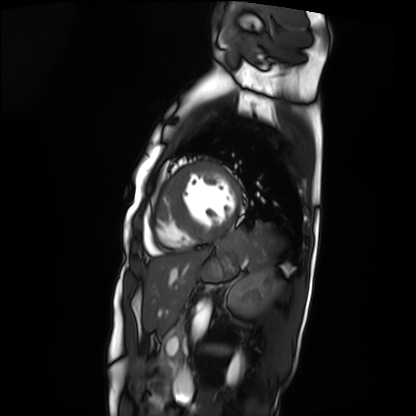
Q: What kind of scan is this?
A: Cardiac MRI.
Subject group: patient.